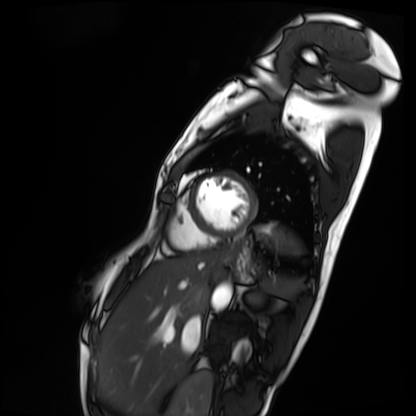
Case summary: Cardiac MRI. Subject group: patient.